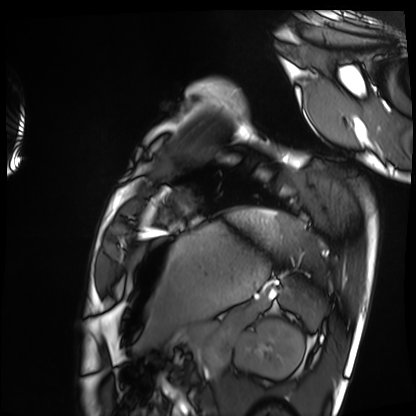
Q: What kind of scan is this?
A: Cardiac MRI.
Subject group: healthy volunteer.